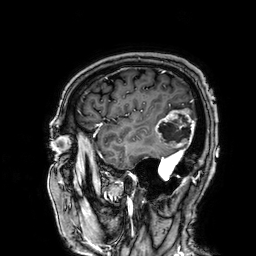
3 Tesla brain MRI. Study: ring-enhancing brain masses.